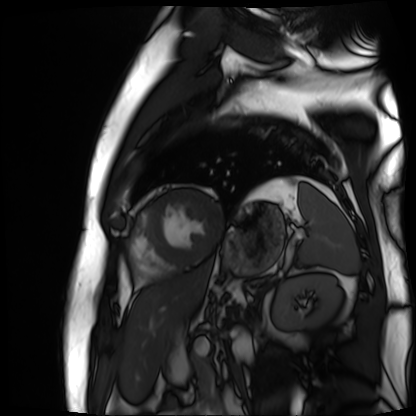
Summary:
Cardiac MR image of the myocardium. Subject cohort: cardiac patient.